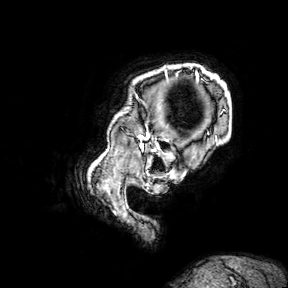
Summary:
3 Tesla brain MRI. Series: 3D T1-weighted turbo field echo with SENSE. Study: ring-enhancing brain masses.